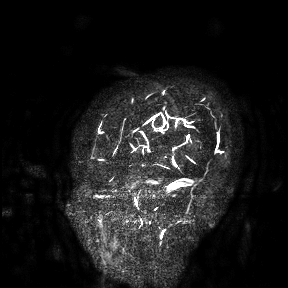
Case:
* modality: 3 Tesla brain MRI
* study: ring-enhancing brain masses